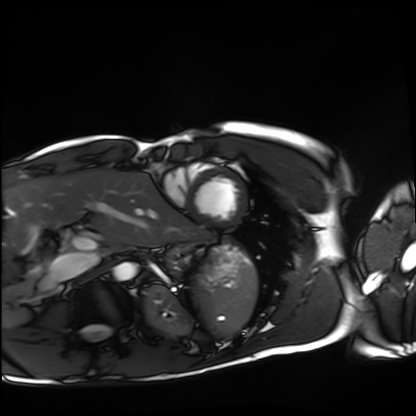
| field | value |
|---|---|
| modality | cardiac MRI |
| subject group | healthy volunteer |